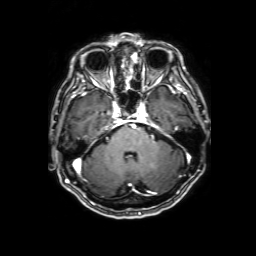
modality: 3 Tesla brain MRI
series: 3D T1-weighted with SENSE
study: ring-enhancing brain masses